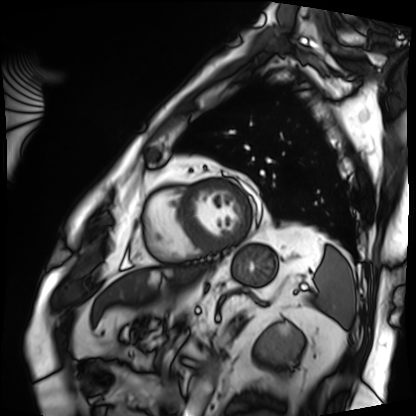
modality: cardiac MRI
subject group: patient